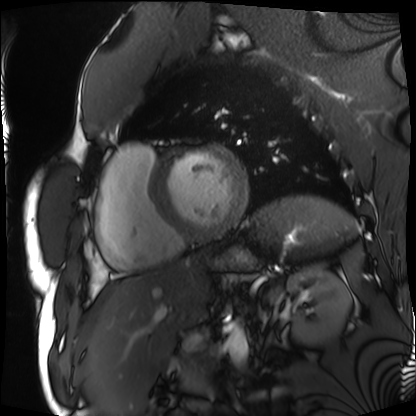
  modality: cardiac MRI
  cohort: patient